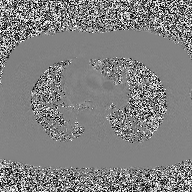
Summary: 2D phase-contrast cine MRI of the ascending aorta, high-resolution GRAPPA acquisition.